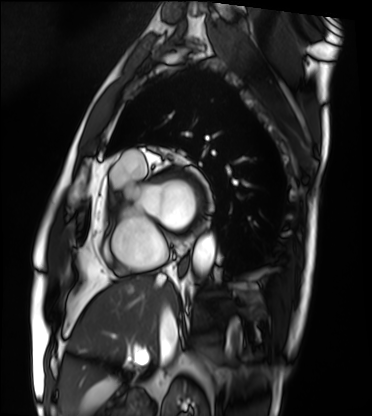
Clinical context:
Cardiac MRI. Subject group: patient.